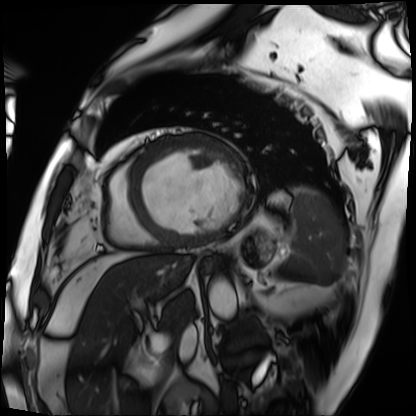
Cardiac MRI.
Subject group: patient.